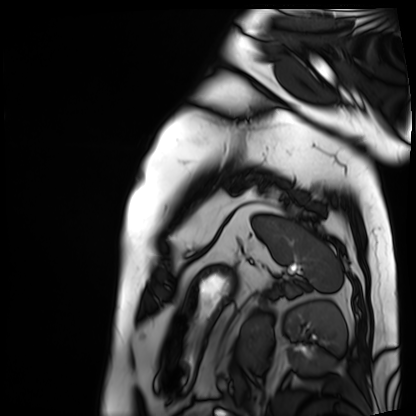
modality: cardiac MRI
subject group: patient